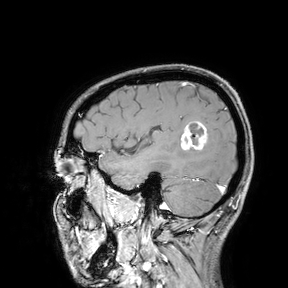
3 Tesla brain MRI.
Study: ring-enhancing brain masses.